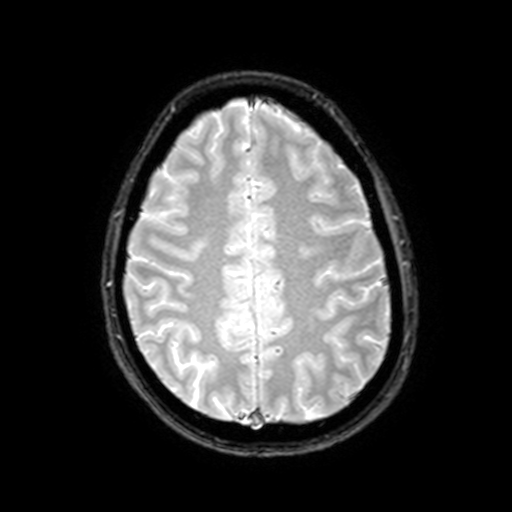
3 Tesla brain MRI.
Study: ring-enhancing brain masses.